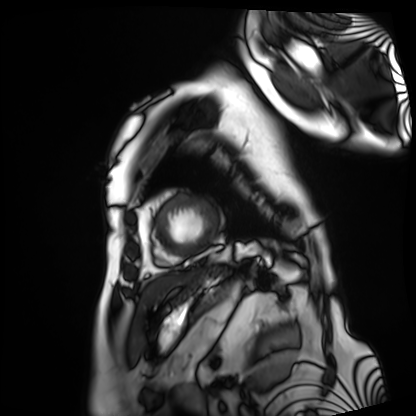
modality: cardiac MRI | subject group: patient.